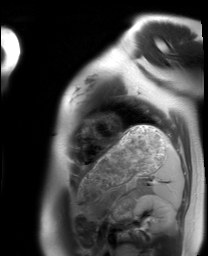
Case summary:
Cardiac MRI. Subject group: healthy volunteer.